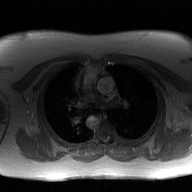
Summary: 2D phase-contrast cine MRI of the ascending aorta, GAN super-resolution reconstruction.